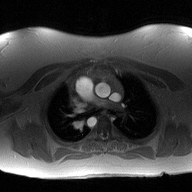
modality = 2D phase-contrast cine MRI of the ascending aorta.